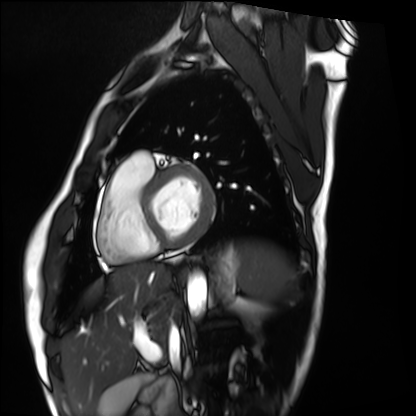
Cardiac MRI.
Subject group: healthy volunteer.